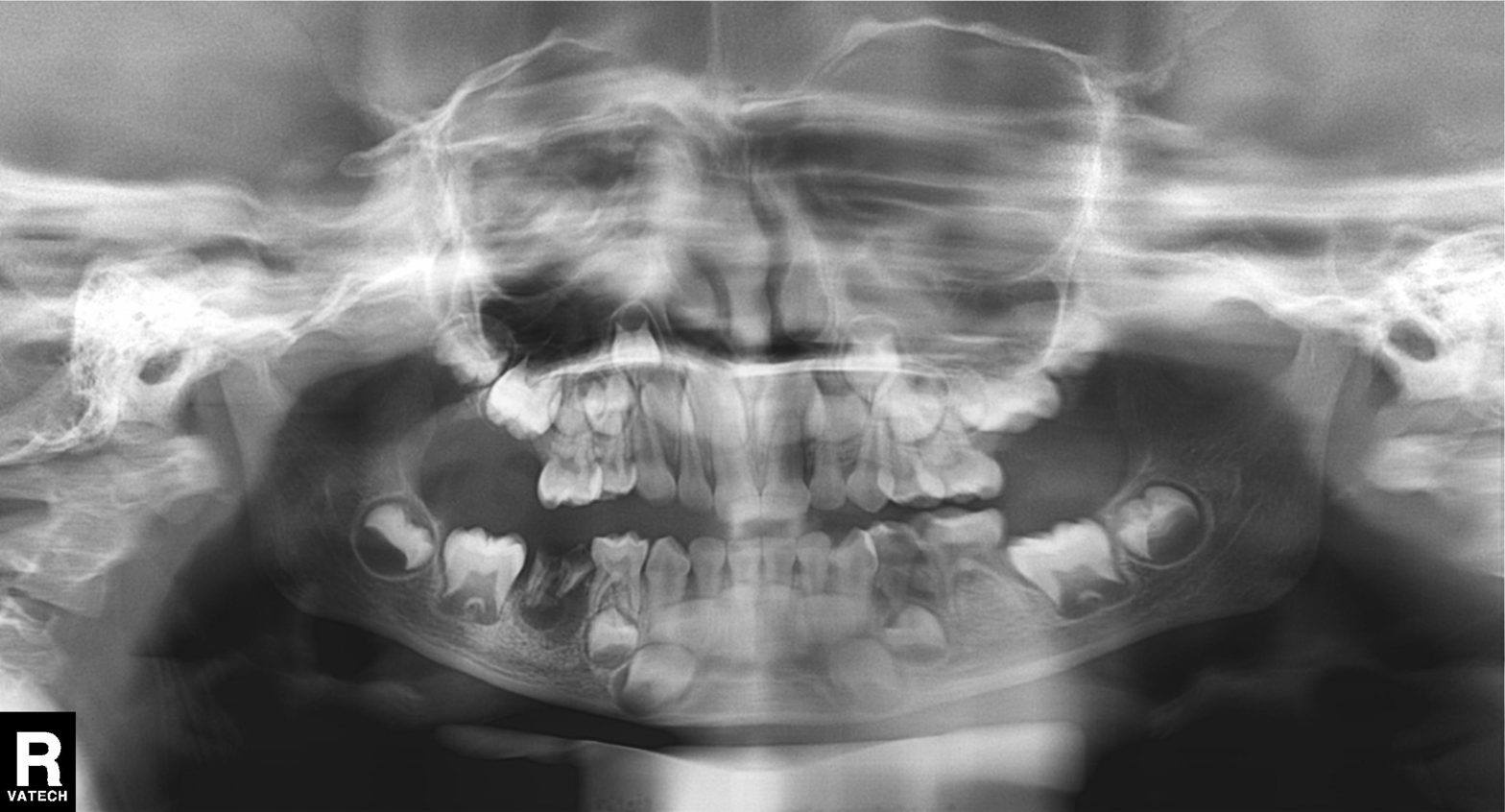
modality: panoramic dental radiograph (orthopantomogram), finding: alveolar bone loss.